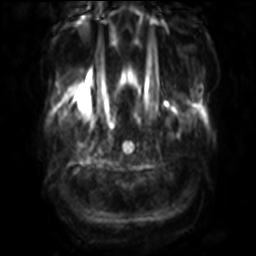
* modality · 3 Tesla brain MRI
* series · diffusion-weighted imaging with SENSE (WIP)
* study · ring-enhancing brain masses